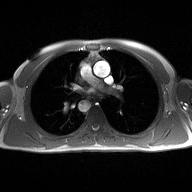
<scan>
  <modality>
    <type>2D phase-contrast cine MRI</type>
    <region>ascending aorta</region>
    <reconstruction>high-resolution GRAPPA acquisition</reconstruction>
  </modality>
</scan>